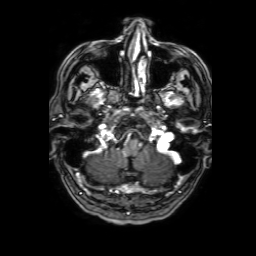
modality = 3 Tesla brain MRI | series = 3D T1-weighted with SENSE | study = ring-enhancing brain masses.